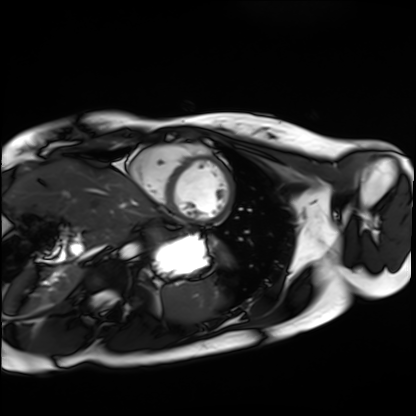
Cardiac MRI.
Subject group: healthy volunteer.